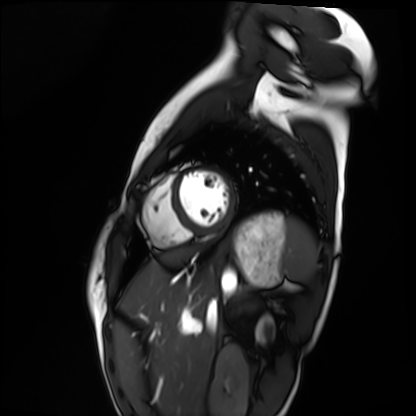
Cardiac MRI. Subject group: healthy volunteer.